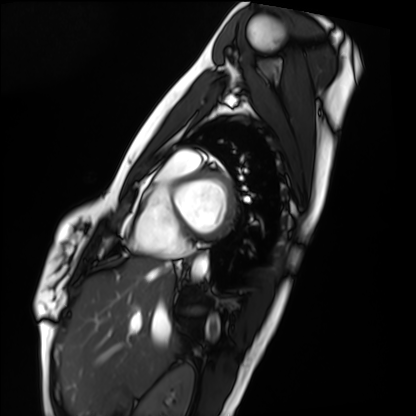
  modality: cardiac MRI
  cohort: healthy volunteer